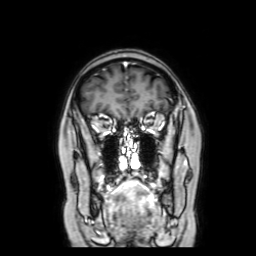
3 Tesla brain MRI.
Series: coronal with contrast.
Study: ring-enhancing brain masses.